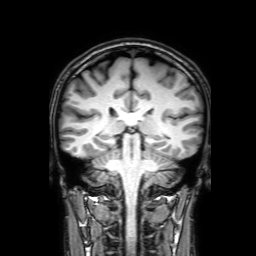
Case summary: 3 Tesla brain MRI. Series: 3D T1-weighted with SENSE. Study: ring-enhancing brain masses.